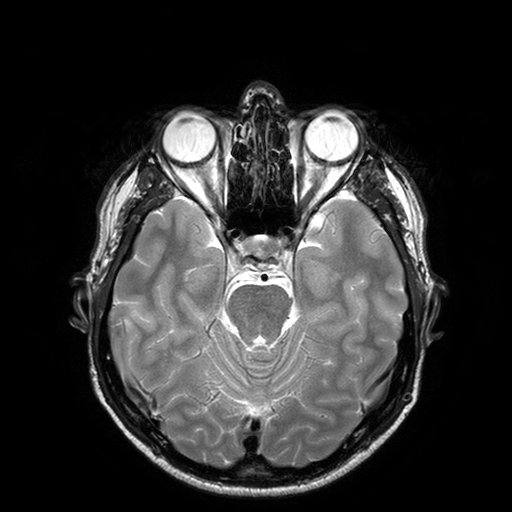
Case summary:
3 Tesla brain MRI. Series: T2-weighted turbo spin echo with SENSE. Study: ring-enhancing brain masses.